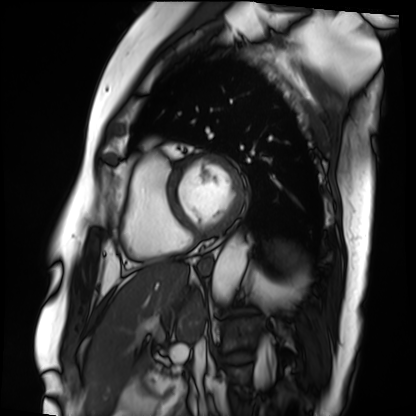
| field | value |
|---|---|
| modality | cardiac MRI |
| subject group | patient |